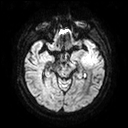
Summary: 3 Tesla brain MRI. Series: diffusion tensor imaging (medium iso). Study: ring-enhancing brain masses.